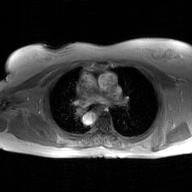
Q: What kind of scan is this?
A: 2D phase-contrast cine MRI of the ascending aorta, GAN super-resolution reconstruction.